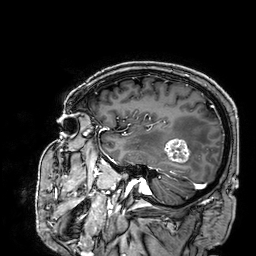
3 Tesla brain MRI.
Series: 3D T1-weighted.
Study: ring-enhancing brain masses.